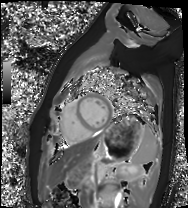
Cardiac MRI. Subject group: healthy volunteer.